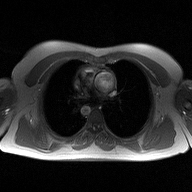
2D phase-contrast cine MRI of the ascending aorta, high-resolution GRAPPA acquisition.